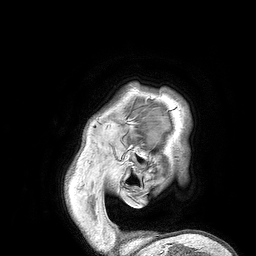
Case:
• modality: 3 Tesla brain MRI
• study: ring-enhancing brain masses